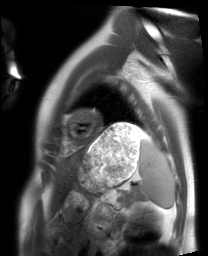
Summary:
Cardiac MRI. Subject group: healthy volunteer.